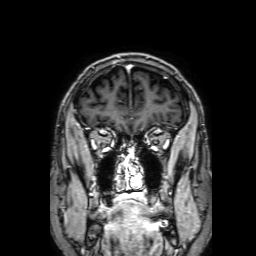
3 Tesla brain MRI.
Series: 3D T1-weighted with SENSE.
Study: ring-enhancing brain masses.